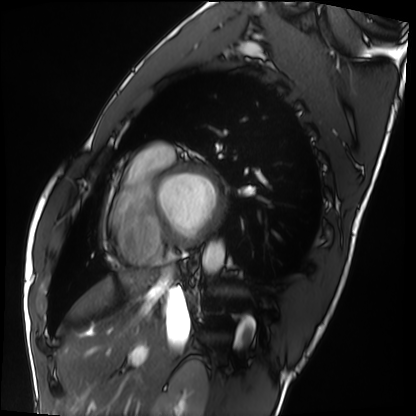
{"modality": "cardiac MRI", "cohort": "healthy volunteer"}